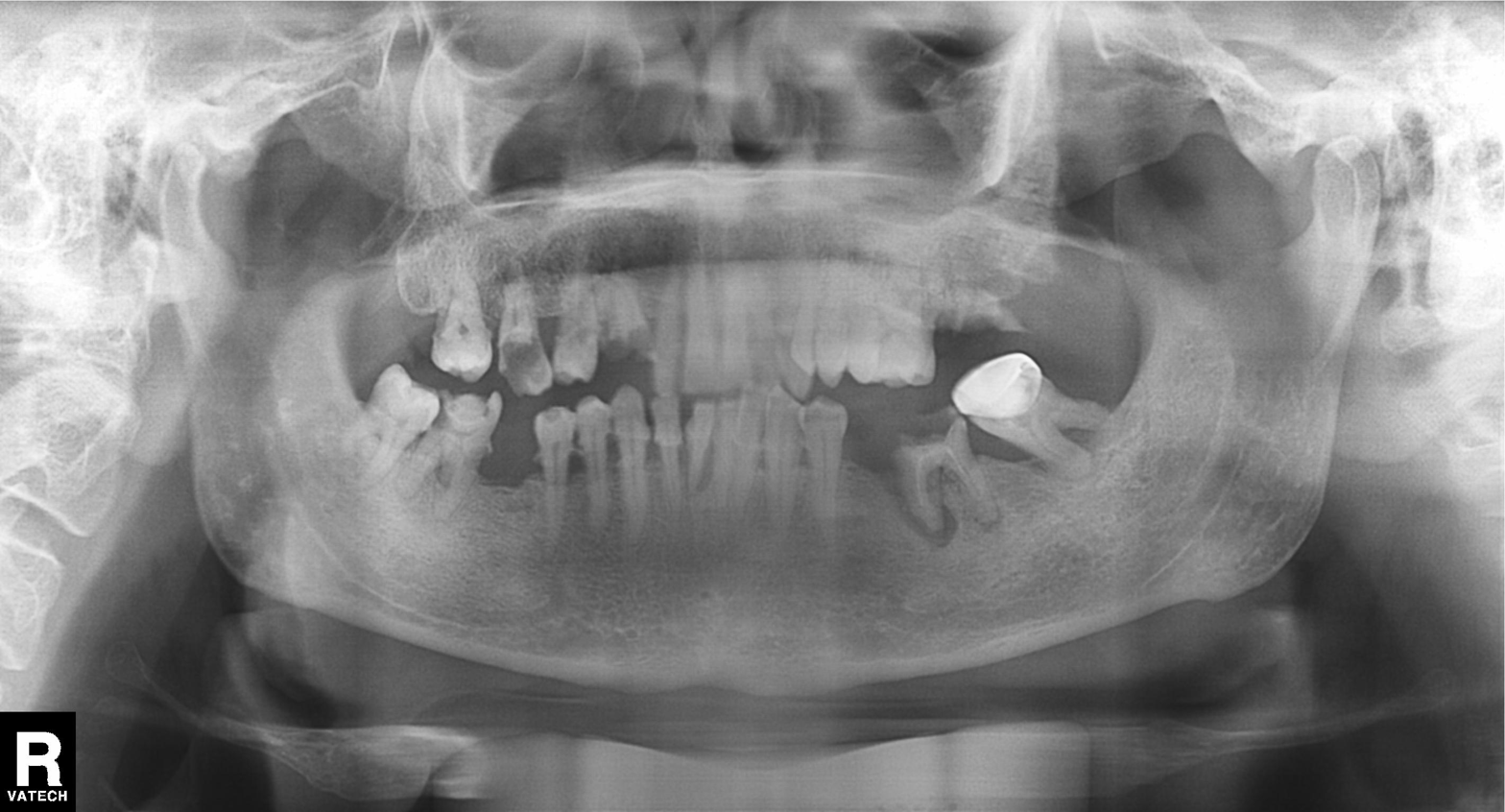
Panoramic dental radiograph (orthopantomogram). Finding: tooth impaction.